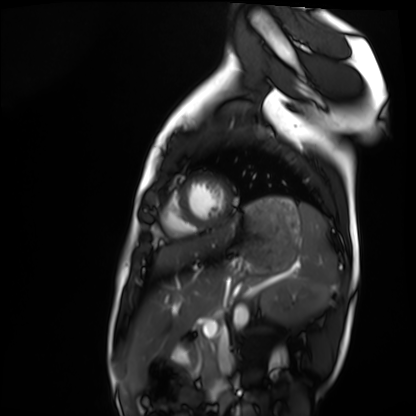
– modality: cardiac MRI
– subject group: healthy volunteer